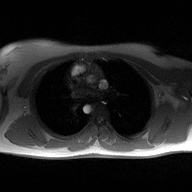
2D phase-contrast cine MRI of the ascending aorta, high-resolution GRAPPA acquisition.